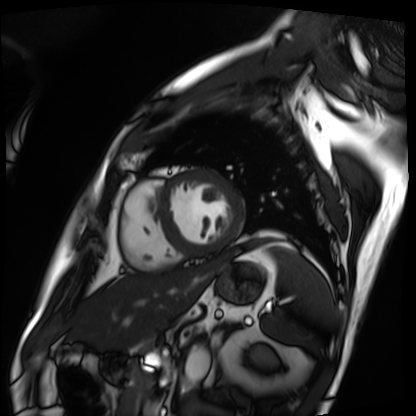
Cardiac MRI.
Subject group: patient.